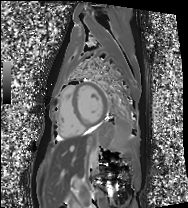
Q: What kind of scan is this?
A: Cardiac MRI.
Subject group: healthy volunteer.